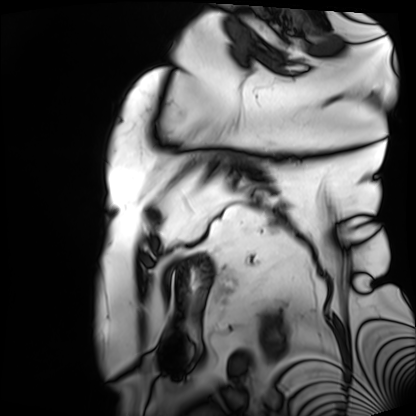
Cardiac MRI.
Subject group: patient.